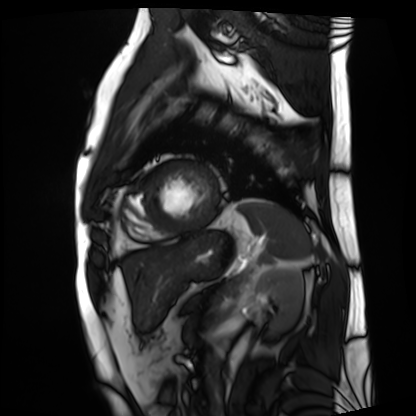
Cardiac MRI. Subject group: patient.